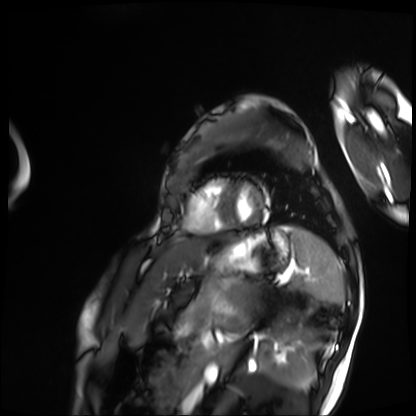
Q: What kind of scan is this?
A: Cardiac MRI.
Subject group: patient.